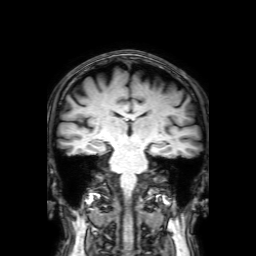
Summary: 3 Tesla brain MRI. Series: 3D T1-weighted with SENSE. Study: ring-enhancing brain masses.